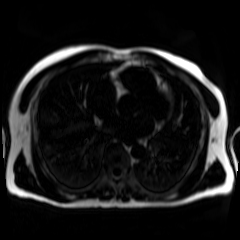
Chemical-shift-encoded cardiac MRI.